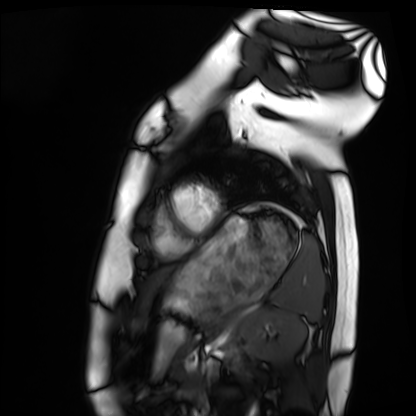
modality=cardiac MRI | subject group=healthy volunteer.